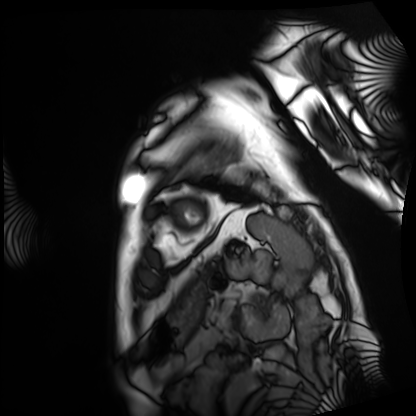
modality: cardiac MRI | subject group: patient.